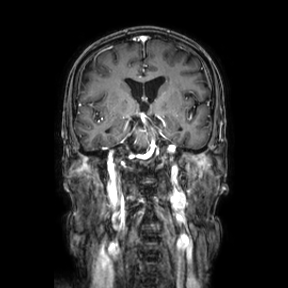
Case:
- modality — 3 Tesla brain MRI
- series — coronal
- study — ring-enhancing brain masses